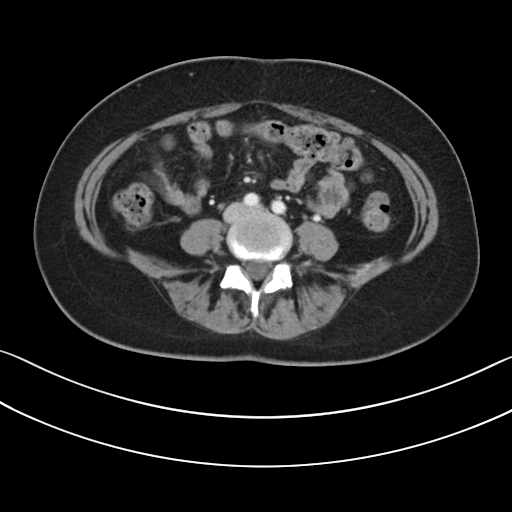
Multiphase abdominal CT, liver, portal venous phase.
Patient: female, age 41.